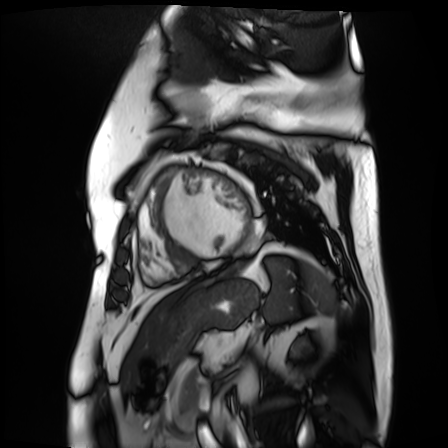
Clinical context: Cardiac MR image of the myocardium. Subject cohort: cardiac patient.